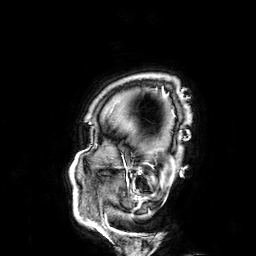
3 Tesla brain MRI. Series: 3D T1-weighted. Study: ring-enhancing brain masses.